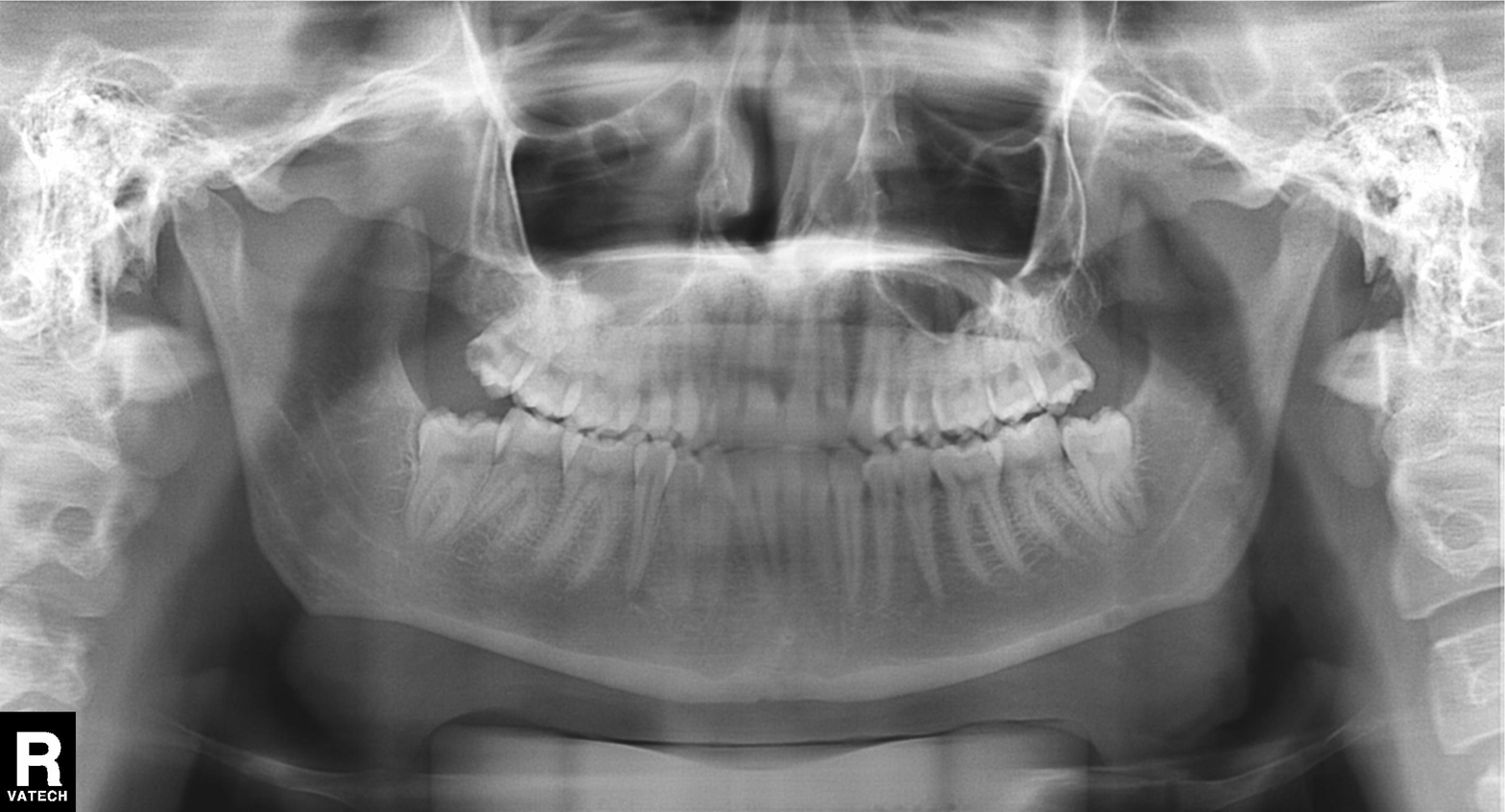
modality: panoramic dental radiograph (orthopantomogram); finding: tooth impaction.